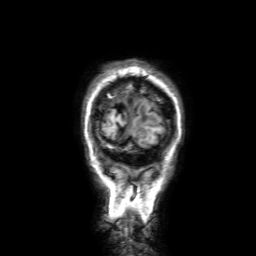
| field | value |
|---|---|
| modality | 3 Tesla brain MRI |
| series | 3D T1-weighted with SENSE |
| study | ring-enhancing brain masses |